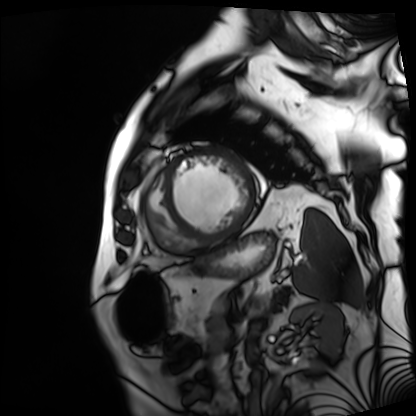
Summary:
Cardiac MRI. Subject group: patient.